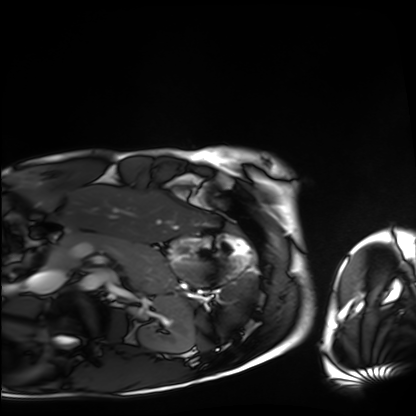
Summary: Cardiac MRI. Subject group: healthy volunteer.